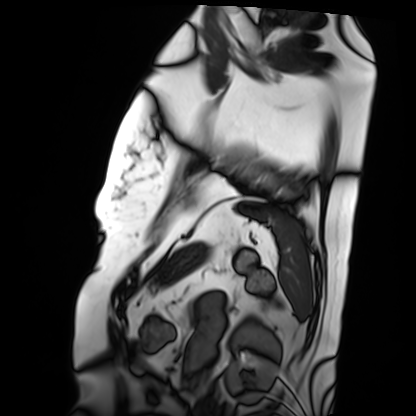
modality: cardiac MRI
subject group: patient